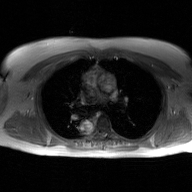
2D phase-contrast cine MRI of the ascending aorta, GAN super-resolution reconstruction.